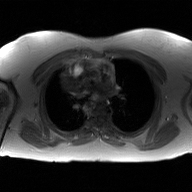
modality: 2D phase-contrast cine MRI of the ascending aorta, GAN super-resolution reconstruction.